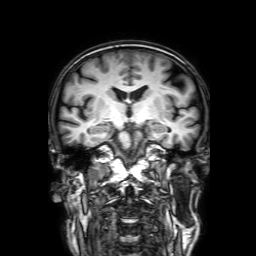
3 Tesla brain MRI. Series: 3D T1-weighted with SENSE. Study: ring-enhancing brain masses.